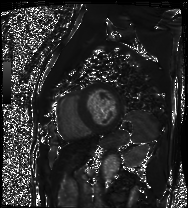
modality = cardiac MRI, subject group = patient.